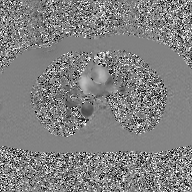
Summary:
2D phase-contrast cine MRI of the ascending aorta, GAN super-resolution reconstruction.